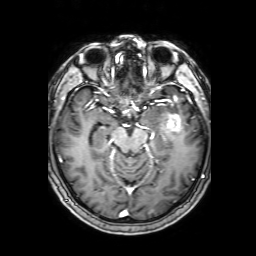
Clinical context: 3 Tesla brain MRI. Series: 3D T1-weighted with SENSE. Study: ring-enhancing brain masses.